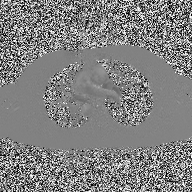
Case:
– modality: 2D phase-contrast cine MRI of the ascending aorta